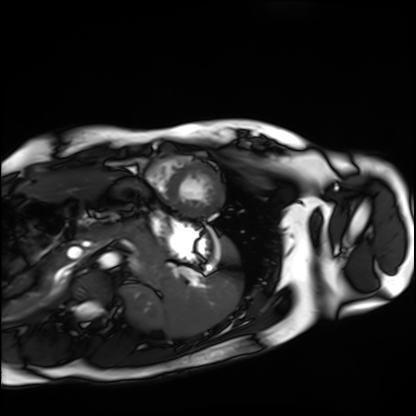
| field | value |
|---|---|
| modality | cardiac MRI |
| subject group | healthy volunteer |